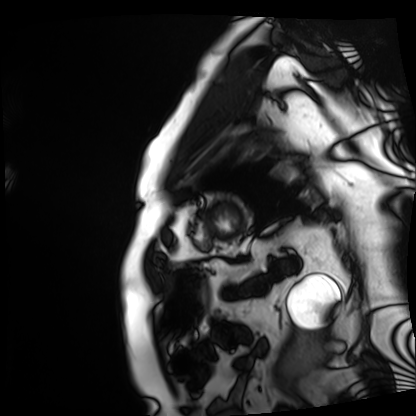
Clinical context: Cardiac MRI. Subject group: patient.